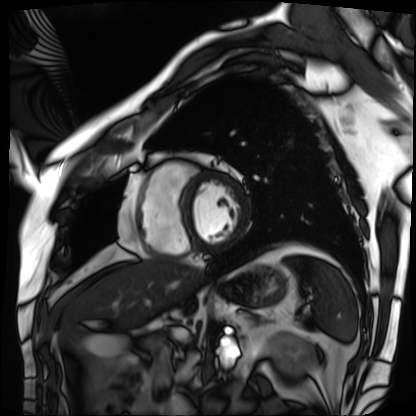
Cardiac MRI. Subject group: patient.